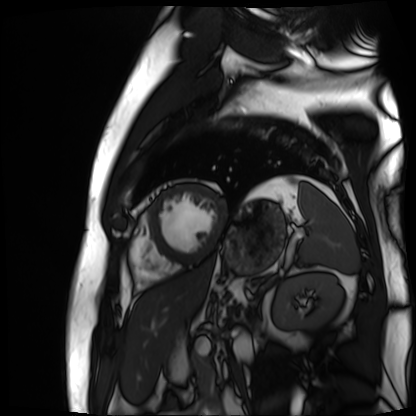
Cardiac MR image of the myocardium. Subject cohort: cardiac patient.